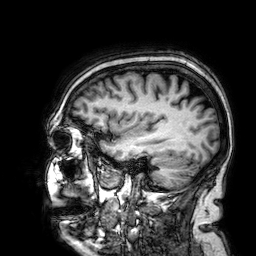
Q: What kind of scan is this?
A: 3 Tesla brain MRI.
Q: Series?
A: 3D T1-weighted.
Study: ring-enhancing brain masses.